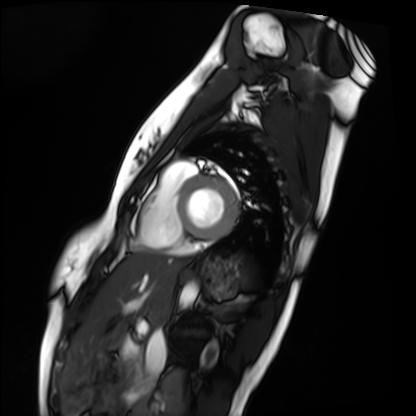
modality: cardiac MRI | subject group: healthy volunteer.